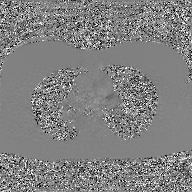
| field | value |
|---|---|
| modality | 2D phase-contrast cine MRI of the ascending aorta, GAN super-resolution reconstruction |